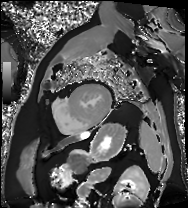
Case summary: Cardiac MRI. Subject group: patient.